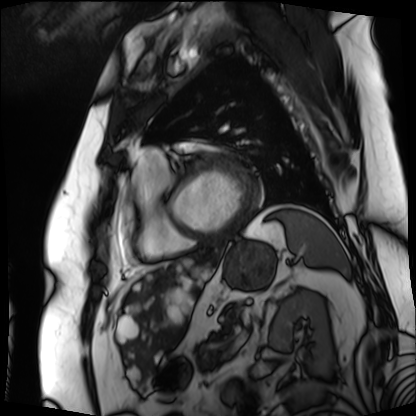
Q: What kind of scan is this?
A: Cardiac MRI.
Subject group: patient.